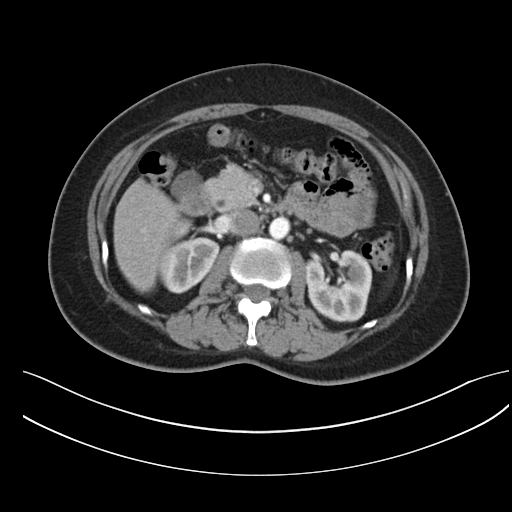
Case summary:
Multiphase abdominal CT, liver, arterial phase. Patient: female, age 53. History: prior chemotherapy.